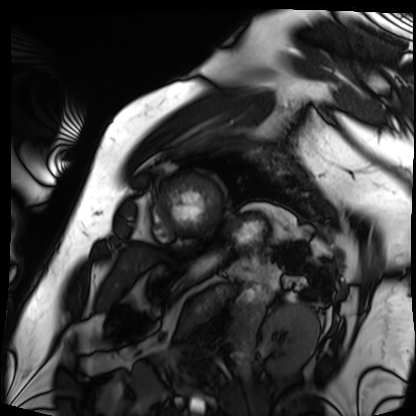
Cardiac MRI.
Subject group: patient.